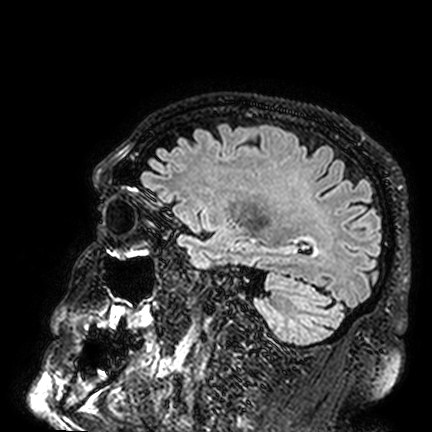
{"modality": {"type": "brain MRI", "field_strength": "3T"}, "series": "FLAIR VISTA", "study_topic": "ring-enhancing brain masses"}